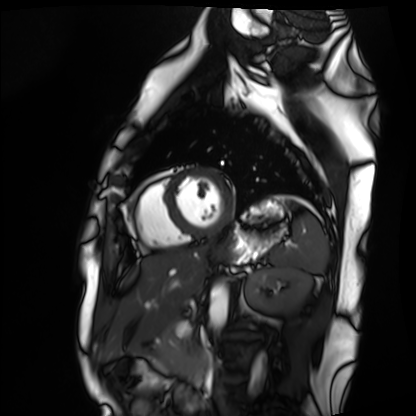
Cardiac MRI. Subject group: healthy volunteer.